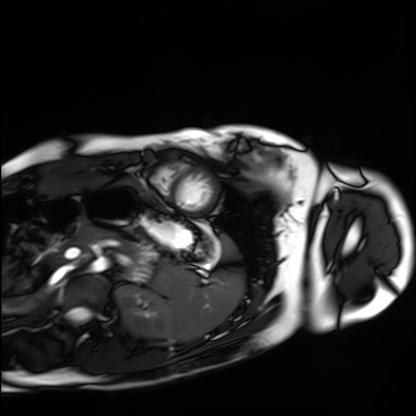
Q: What kind of scan is this?
A: Cardiac MRI.
Subject group: healthy volunteer.